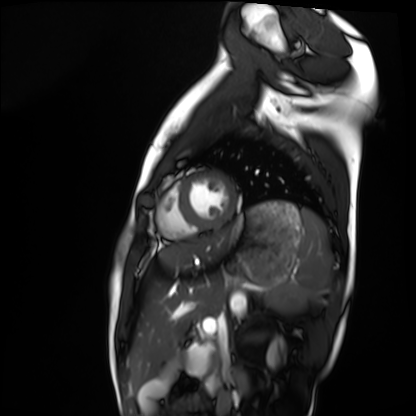
- modality — cardiac MRI
- subject group — healthy volunteer